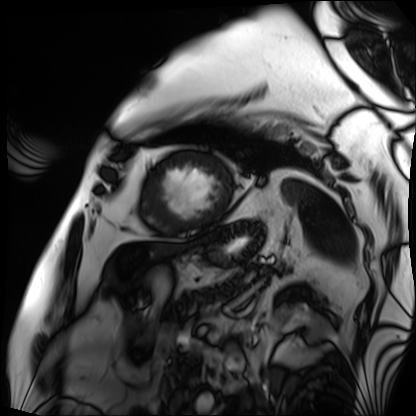
modality: cardiac MRI; subject group: patient.